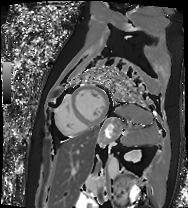
Case:
- modality · cardiac MRI
- subject group · patient